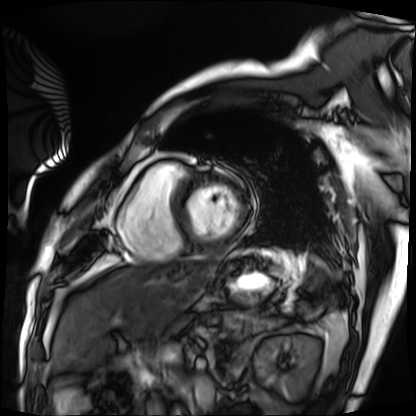
modality: cardiac MRI
cohort: patient